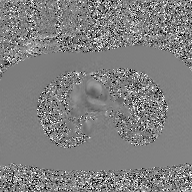
Summary:
2D phase-contrast cine MRI of the ascending aorta, GAN super-resolution reconstruction.